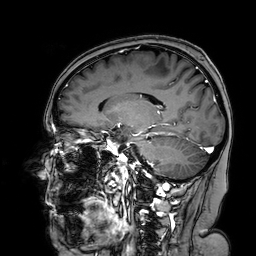
3 Tesla brain MRI.
Series: 3D T1-weighted turbo field echo with SENSE.
Study: ring-enhancing brain masses.